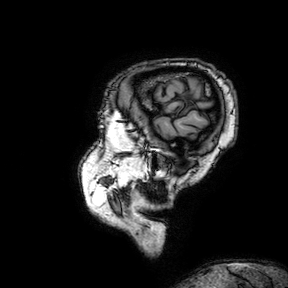
3 Tesla brain MRI. Series: 3D T1-weighted turbo field echo with SENSE. Study: ring-enhancing brain masses.